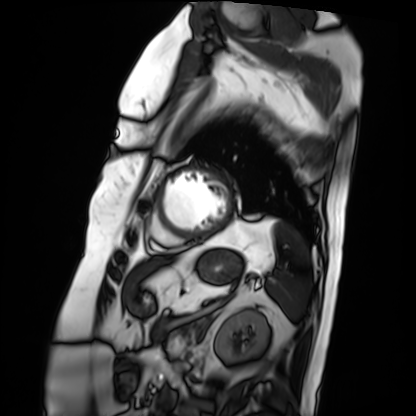
{
  "modality": "cardiac MRI",
  "cohort": "patient"
}